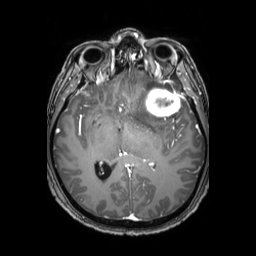
3 Tesla brain MRI. Series: 3D T1-weighted TFE with SENSE. Study: ring-enhancing brain masses.